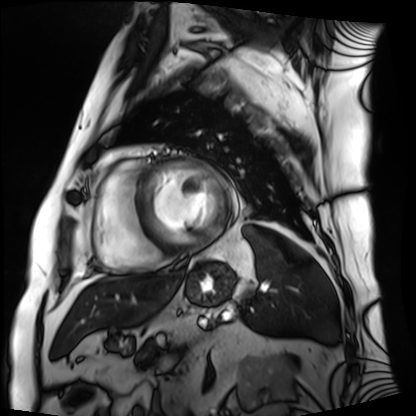
Cardiac MRI. Subject group: patient.